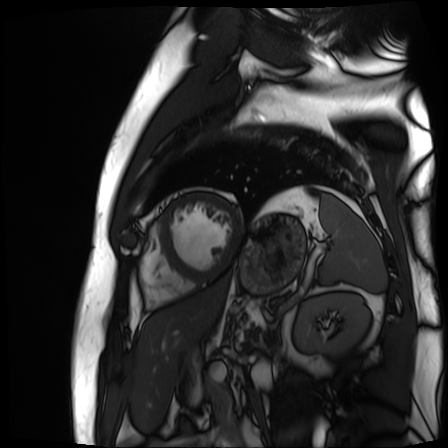
Cardiac MR image of the myocardium. Subject cohort: cardiac patient.